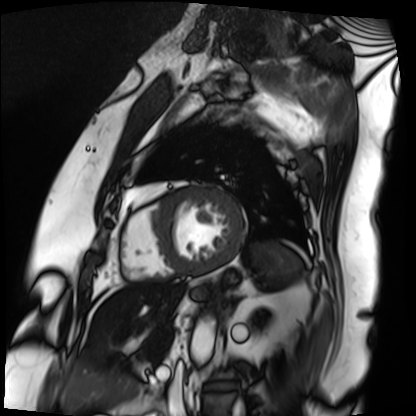
modality=cardiac MRI | subject group=patient.